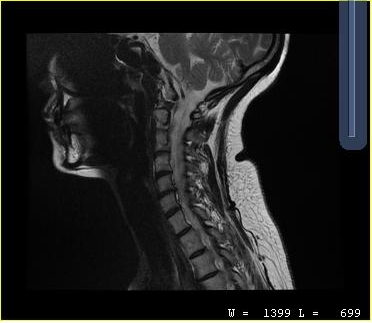
Clinical context: MRI of the cervical spine. Study: cervical spondylosis.